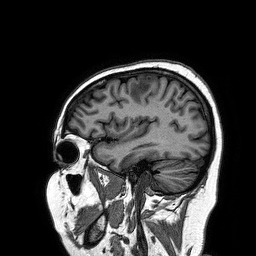
3 Tesla brain MRI.
Series: 3D T1-weighted turbo field echo.
Study: ring-enhancing brain masses.